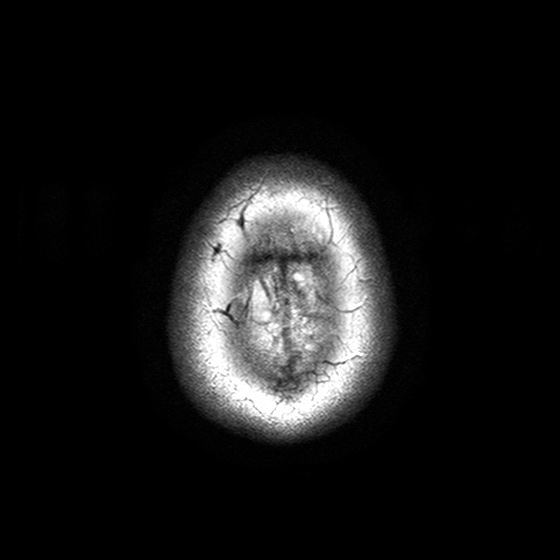
modality — 3 Tesla brain MRI | series — T2-weighted turbo spin echo with SENSE | study — ring-enhancing brain masses.